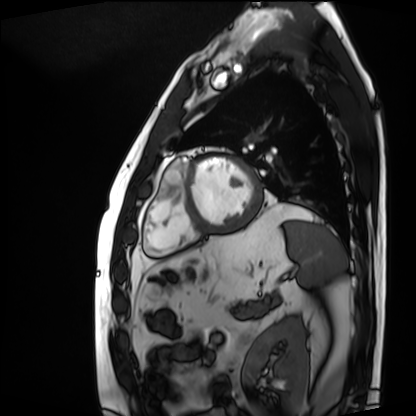
Q: What kind of scan is this?
A: Cardiac MRI.
Subject group: patient.